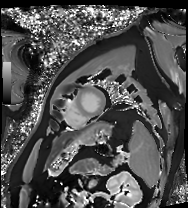
{
  "modality": "cardiac MRI",
  "cohort": "patient"
}